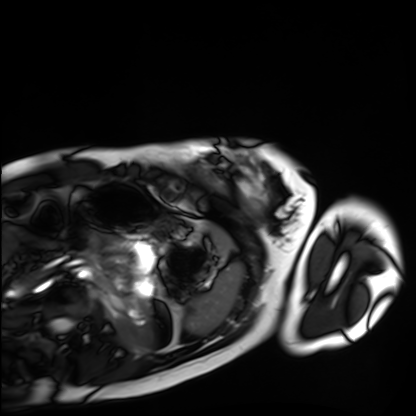
modality=cardiac MRI
subject group=healthy volunteer